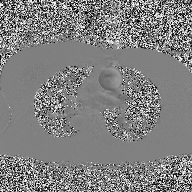
2D phase-contrast cine MRI of the ascending aorta, high-resolution GRAPPA acquisition.